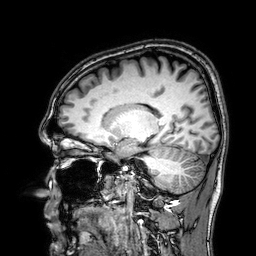
- modality · 3 Tesla brain MRI
- series · 3D T1-weighted
- study · ring-enhancing brain masses